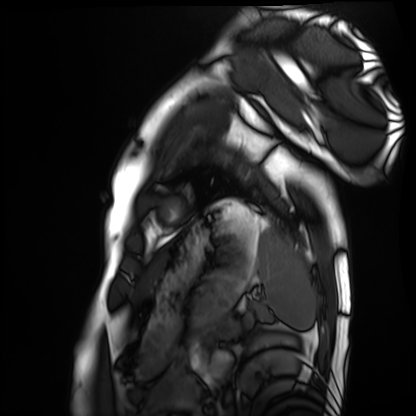
Summary: Cardiac MRI. Subject group: healthy volunteer.